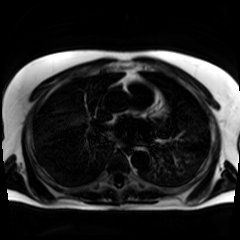
– modality · chemical-shift-encoded cardiac MRI